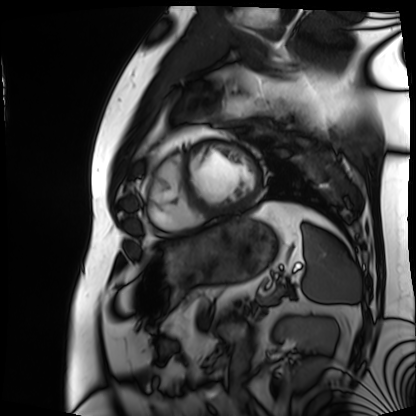
Q: What kind of scan is this?
A: Cardiac MRI.
Subject group: patient.